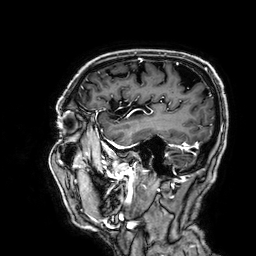
modality:
  type: brain MRI
  field_strength: 3T
series: 3D T1-weighted
study_topic: ring-enhancing brain masses